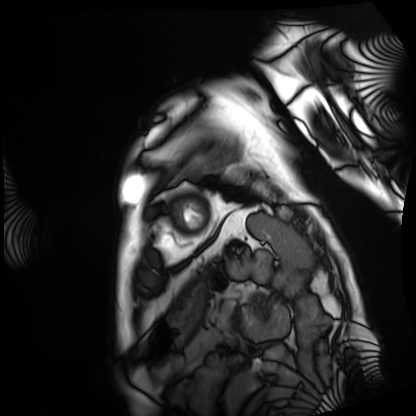
Q: What kind of scan is this?
A: Cardiac MRI.
Subject group: patient.